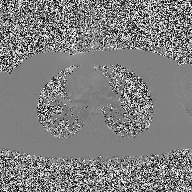
modality:
  type: 2D phase-contrast cine MRI
  region: ascending aorta
  reconstruction: high-resolution GRAPPA acquisition